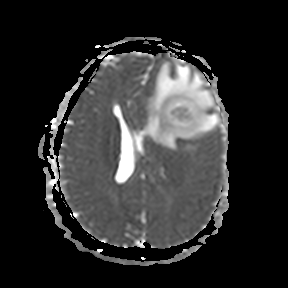
3 Tesla brain MRI.
Series: apparent diffusion coefficient (ADC) map.
Study: ring-enhancing brain masses.